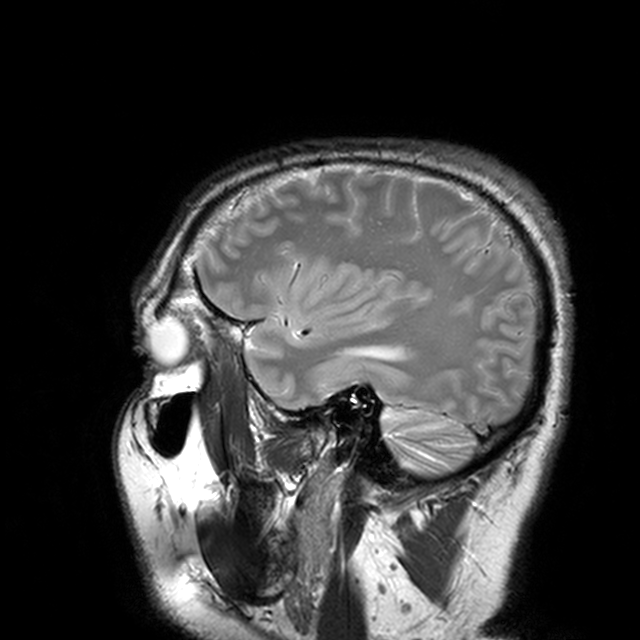
3 Tesla brain MRI.
Series: T2-weighted turbo spin echo with CLEAR.
Study: ring-enhancing brain masses.